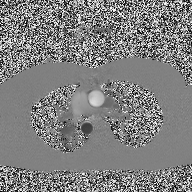
Q: What kind of scan is this?
A: 2D phase-contrast cine MRI of the ascending aorta.